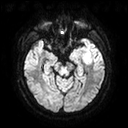
Clinical context:
3 Tesla brain MRI. Series: diffusion tensor imaging (medium iso). Study: ring-enhancing brain masses.